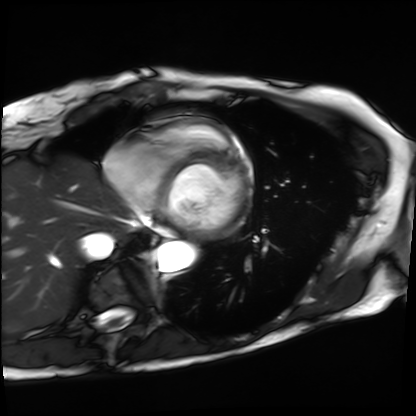
{"modality": "cardiac MRI", "cohort": "patient"}